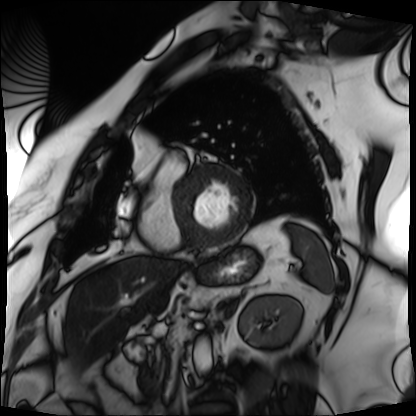
{
  "modality": "cardiac MRI",
  "cohort": "patient"
}